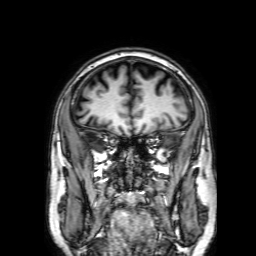
3 Tesla brain MRI.
Series: 3D T1-weighted with SENSE.
Study: ring-enhancing brain masses.